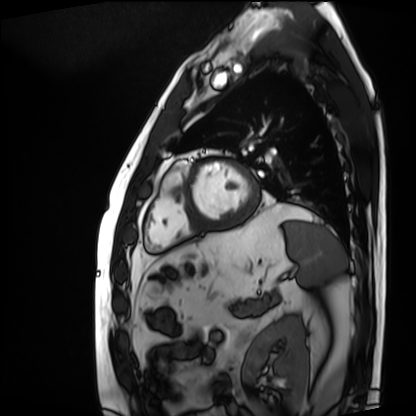
Cardiac MRI. Subject group: patient.